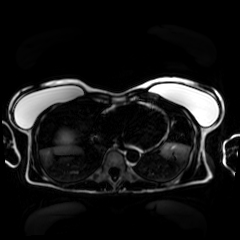
Chemical-shift-encoded cardiac MRI.